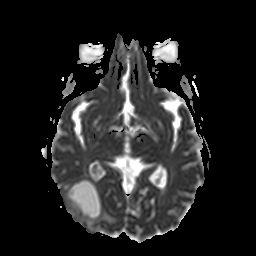
• modality — 3 Tesla brain MRI
• series — apparent diffusion coefficient (ADC) map
• study — ring-enhancing brain masses